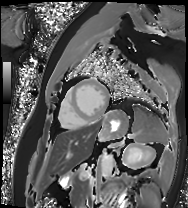
Cardiac MRI.
Subject group: patient.